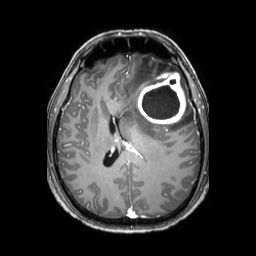
- modality · 3 Tesla brain MRI
- series · 3D T1-weighted TFE with SENSE
- study · ring-enhancing brain masses